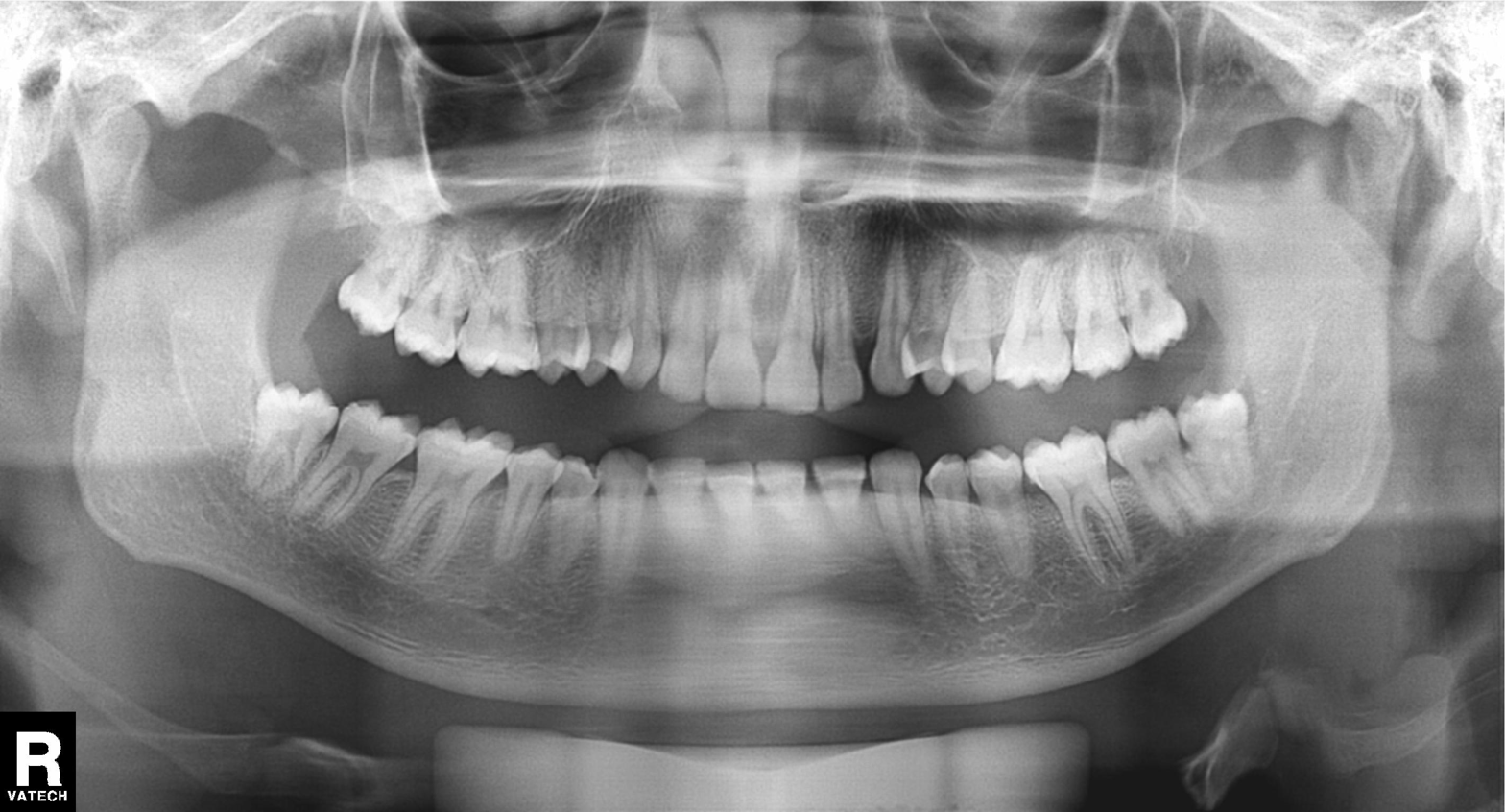
modality: panoramic dental radiograph (orthopantomogram) | finding: alveolar bone loss.